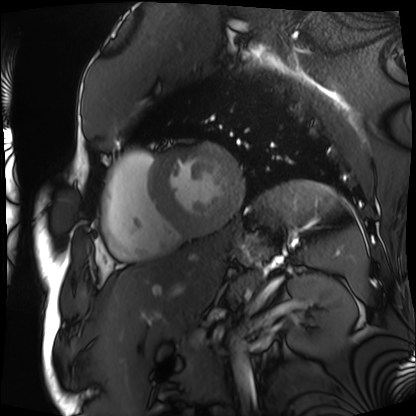
Clinical context: Cardiac MRI. Subject group: patient.